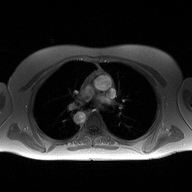
Q: What kind of scan is this?
A: 2D phase-contrast cine MRI of the ascending aorta.